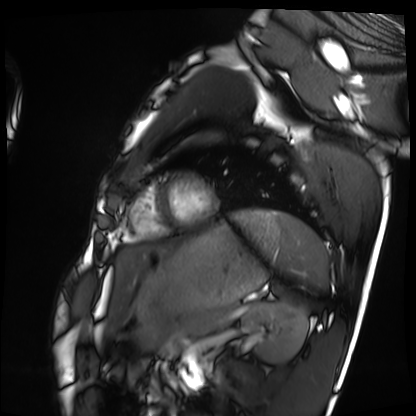
- modality: cardiac MRI
- subject group: healthy volunteer